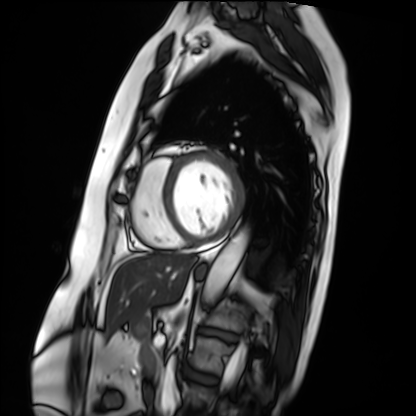
Case:
– modality — cardiac MRI
– subject group — patient